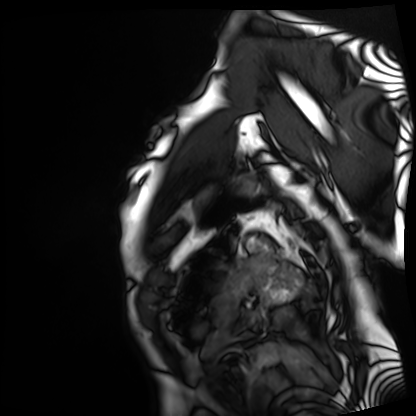
Cardiac MRI.
Subject group: patient.